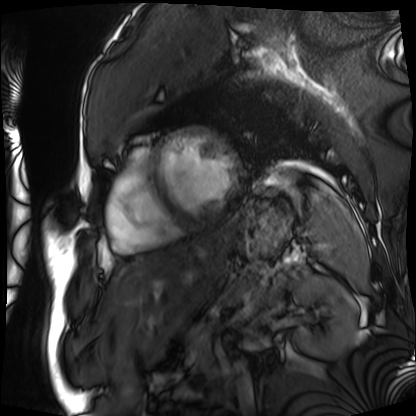
modality = cardiac MRI
subject group = patient